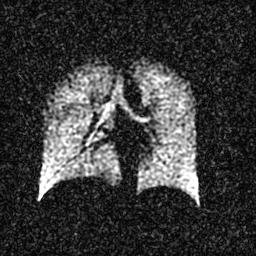
Hyperpolarized 129Xe ventilation MRI of the lungs. SNR level 3 of 8 (the deposit holds this scan as its native image and as seven SNR-degraded versions).